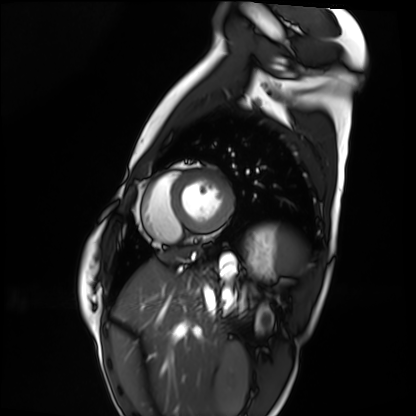
{
  "modality": "cardiac MRI",
  "cohort": "healthy volunteer"
}